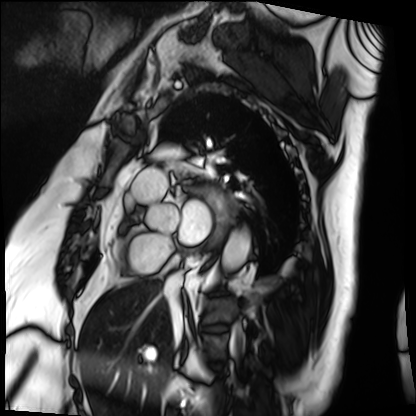
Q: What kind of scan is this?
A: Cardiac MRI.
Subject group: patient.